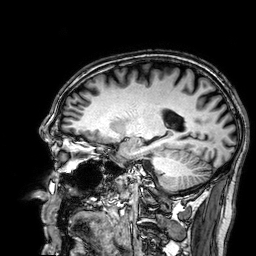
modality = 3 Tesla brain MRI; series = 3D T1-weighted; study = ring-enhancing brain masses.